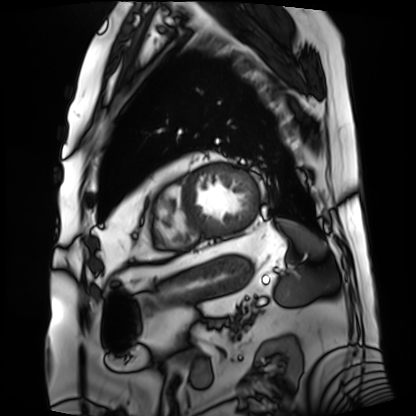
Summary:
Cardiac MRI. Subject group: patient.